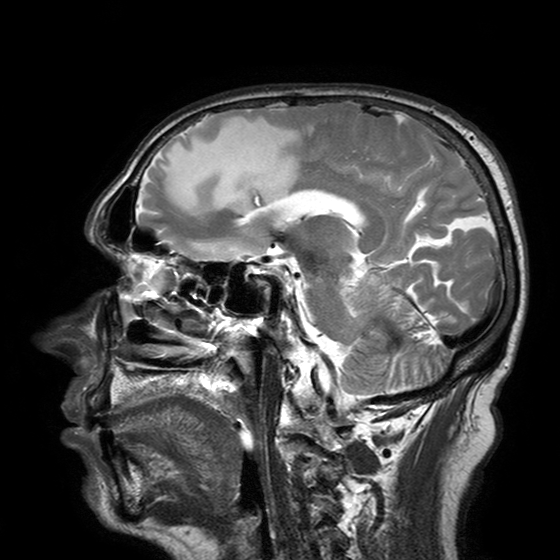
3 Tesla brain MRI. Series: T2-weighted turbo spin echo with SENSE. Study: ring-enhancing brain masses.